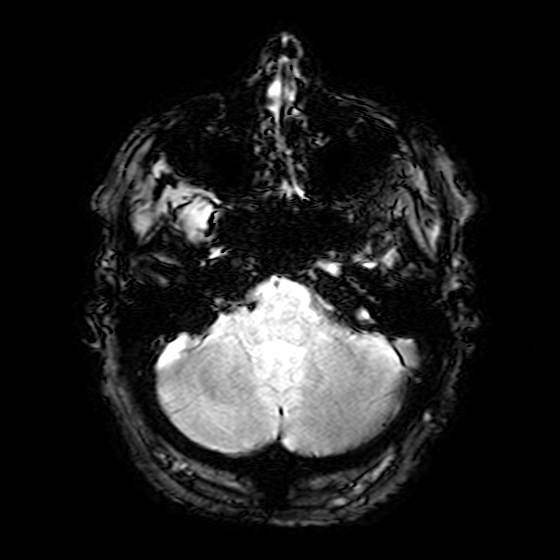
Summary: 3 Tesla brain MRI. Series: T2-weighted fast field echo. Study: ring-enhancing brain masses.